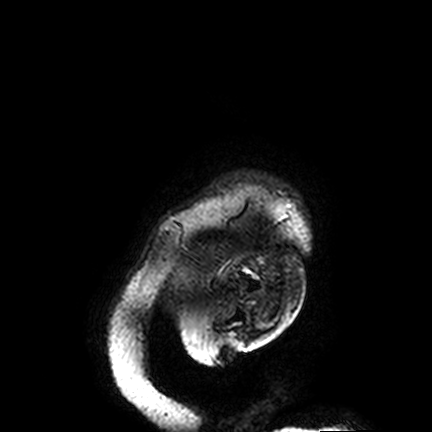
3 Tesla brain MRI.
Series: FLAIR VISTA.
Study: ring-enhancing brain masses.